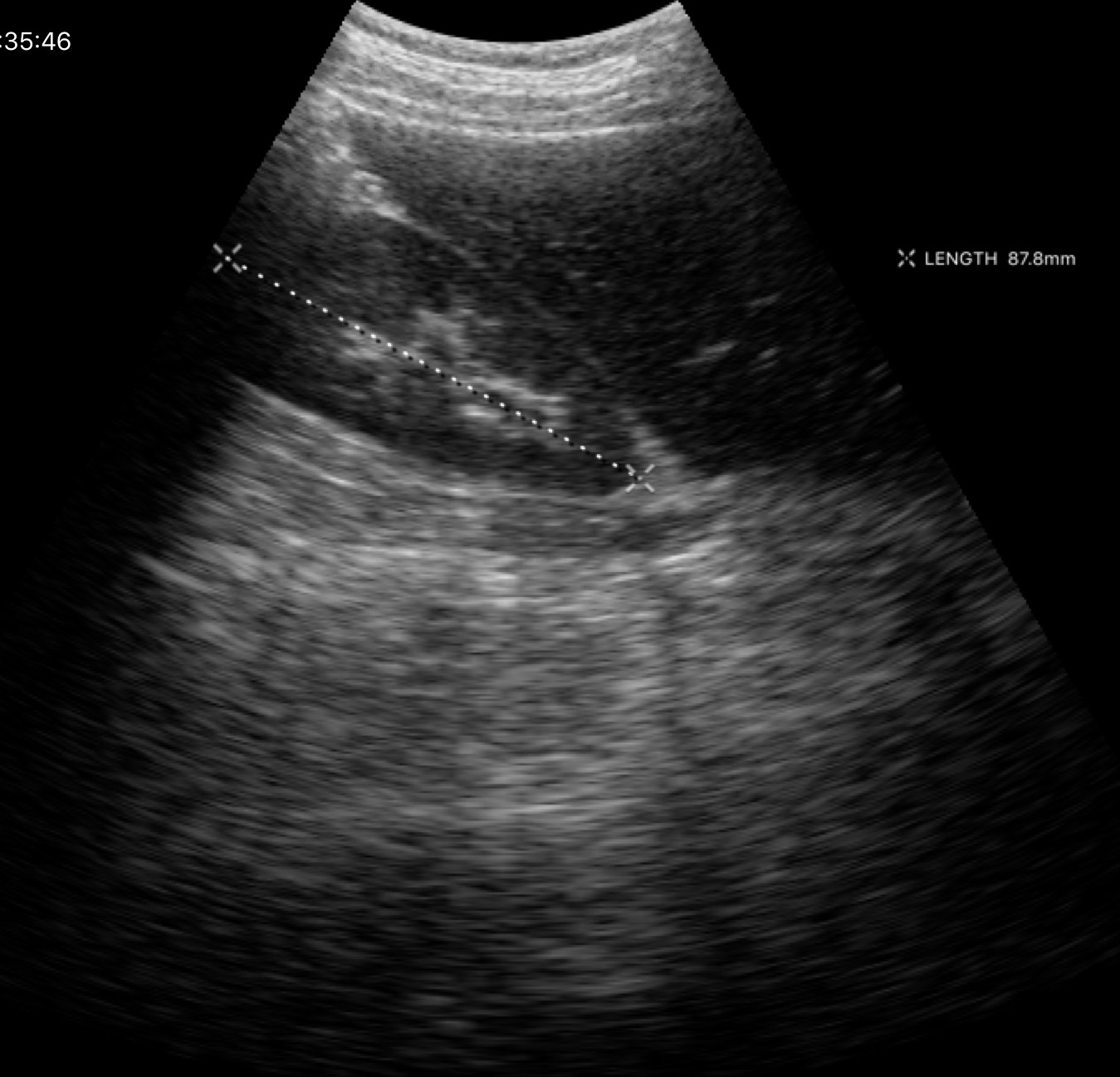
modality: genitourinary ultrasound